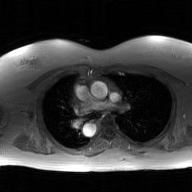
modality: 2D phase-contrast cine MRI of the ascending aorta, GAN super-resolution reconstruction